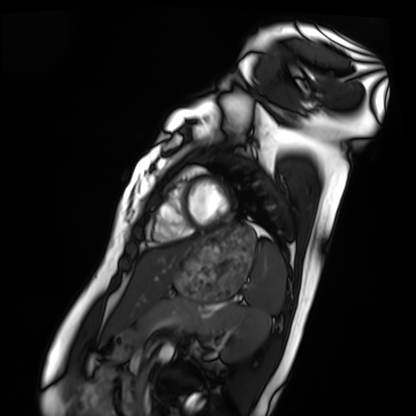
Summary:
Cardiac MRI. Subject group: healthy volunteer.